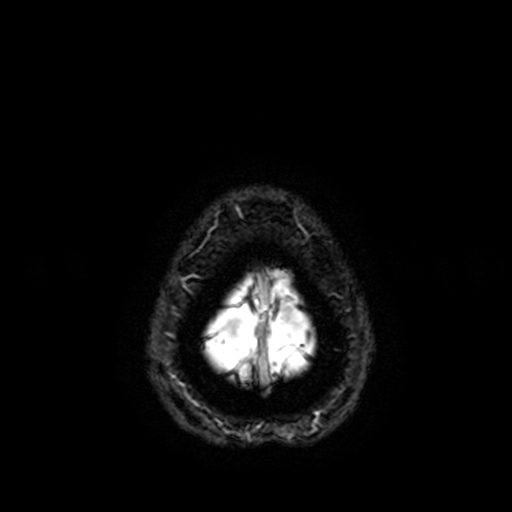
– modality · 3 Tesla brain MRI
– series · T2-weighted fast field echo with SENSE
– study · ring-enhancing brain masses